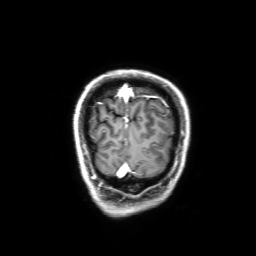
{
  "modality": {
    "type": "brain MRI",
    "field_strength": "3T"
  },
  "series": "3D T1-weighted with SENSE",
  "study_topic": "ring-enhancing brain masses"
}